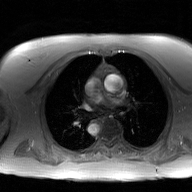
{"modality": {"type": "2D phase-contrast cine MRI", "region": "ascending aorta", "reconstruction": "GAN super-resolution reconstruction"}}